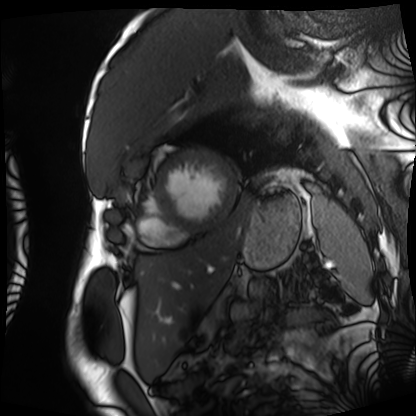
Case:
- modality: cardiac MRI
- subject group: patient